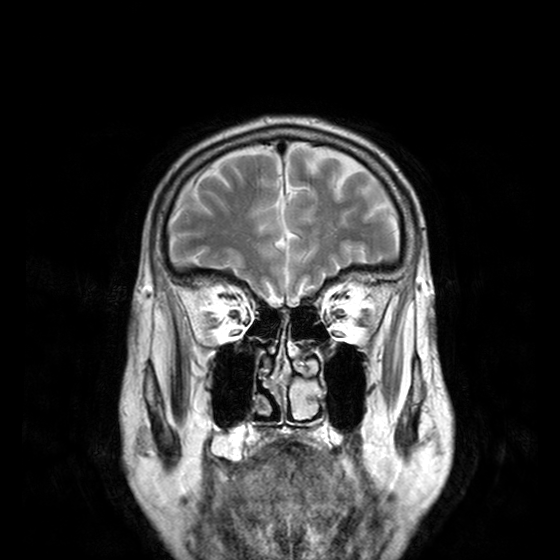
{
  "modality": {
    "type": "brain MRI",
    "field_strength": "3T"
  },
  "series": "T2-weighted turbo spin echo with CLEAR",
  "study_topic": "ring-enhancing brain masses"
}